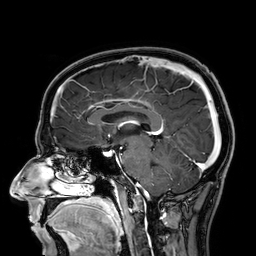
Summary: 3 Tesla brain MRI. Series: 3D T1-weighted. Study: ring-enhancing brain masses.